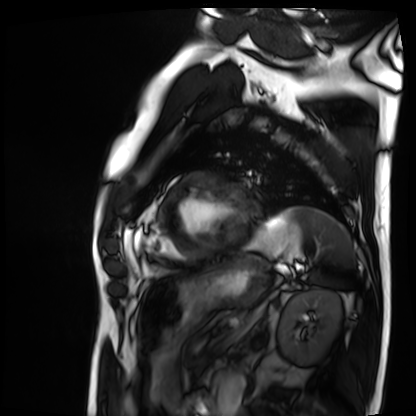
modality: cardiac MRI
cohort: patient